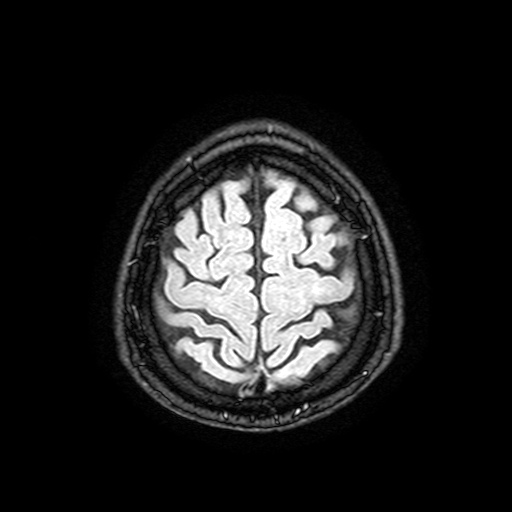
Q: What kind of scan is this?
A: 3 Tesla brain MRI.
Study: ring-enhancing brain masses.